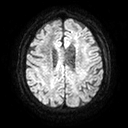
Q: What kind of scan is this?
A: 3 Tesla brain MRI.
Q: Series?
A: Diffusion tensor imaging (medium iso).
Study: ring-enhancing brain masses.